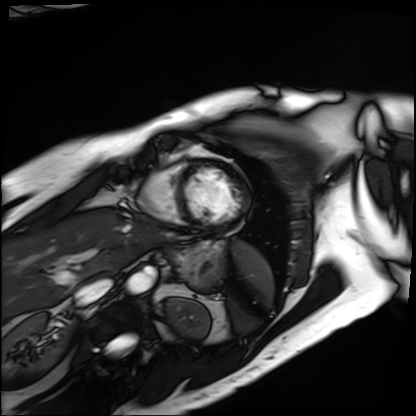
Summary:
Cardiac MRI. Subject group: patient.